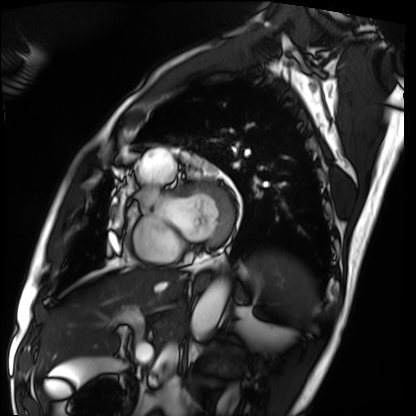
Cardiac MRI. Subject group: patient.